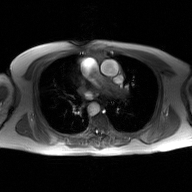
2D phase-contrast cine MRI of the ascending aorta, GAN super-resolution reconstruction.